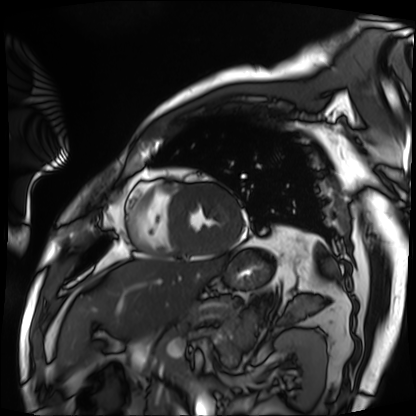
Summary: Cardiac MRI. Subject group: patient.